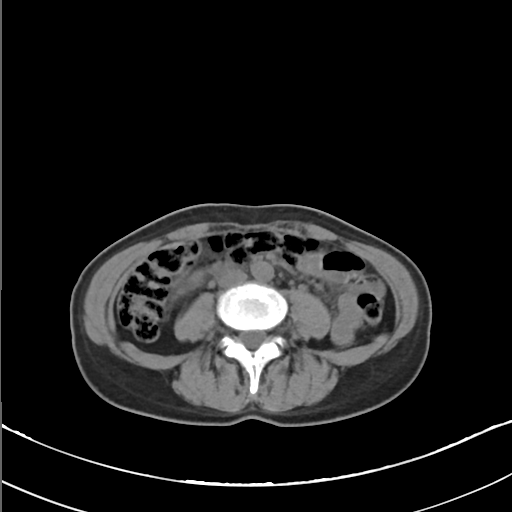
Multiphase abdominal CT, liver, non-contrast phase. Patient: female, age 53.